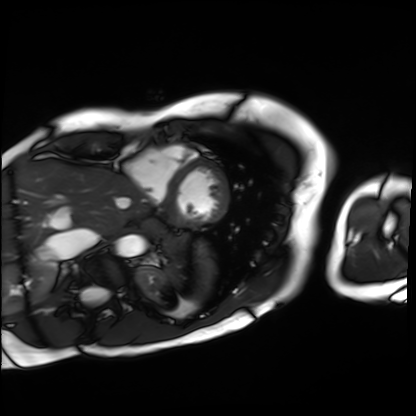
Cardiac MRI.
Subject group: patient.